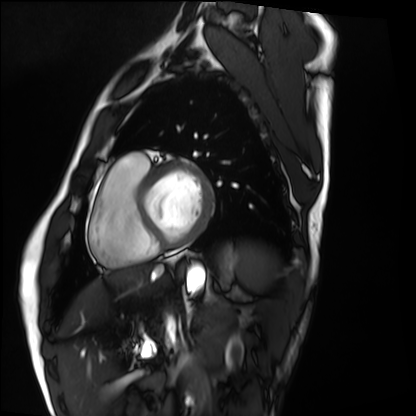
Summary: Cardiac MRI. Subject group: healthy volunteer.